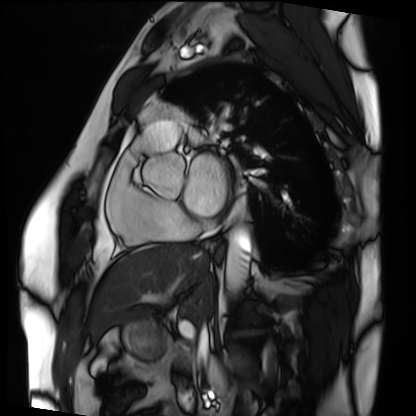
Clinical context:
Cardiac MRI. Subject group: patient.